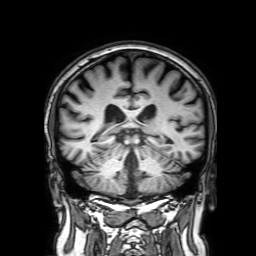
  modality:
    type: brain MRI
    field_strength: 3T
  series: 3D T1-weighted with SENSE
  study_topic: ring-enhancing brain masses